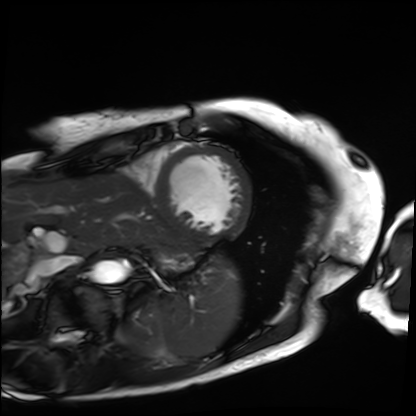
Cardiac MRI.
Subject group: patient.